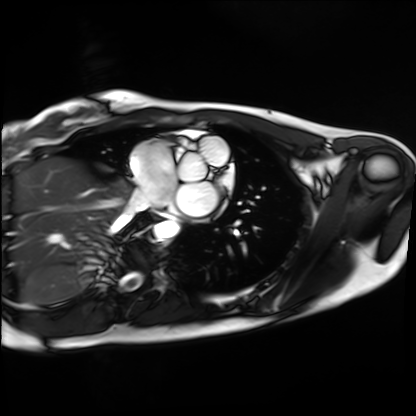
– modality — cardiac MRI
– subject group — healthy volunteer